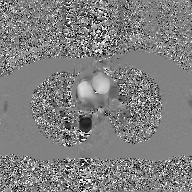
Case summary:
2D phase-contrast cine MRI of the ascending aorta, GAN super-resolution reconstruction.